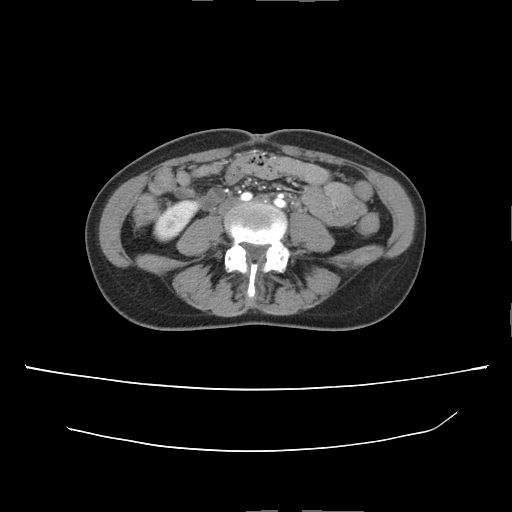
* modality · multiphase abdominal CT, liver, arterial phase
* patient · female, age 35
* history · prior chemotherapy